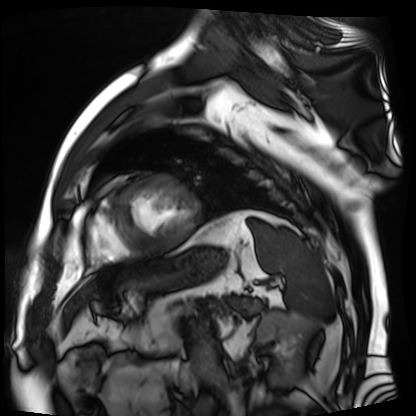
| field | value |
|---|---|
| modality | cardiac MR image of the myocardium |
| subject cohort | cardiac patient |